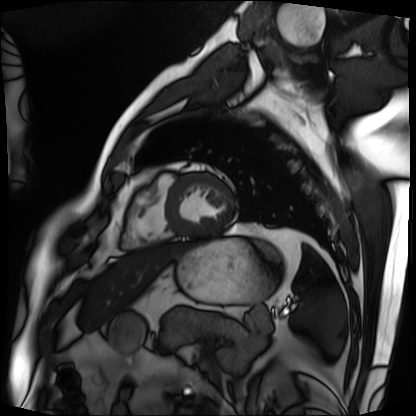
Cardiac MRI.
Subject group: patient.